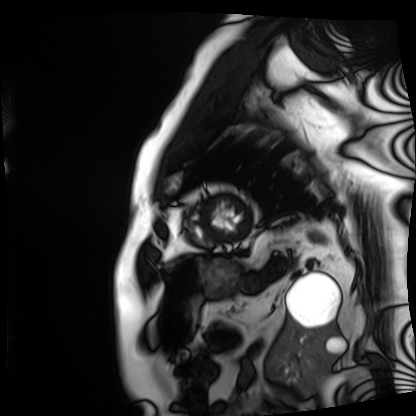
modality: cardiac MRI
cohort: patient